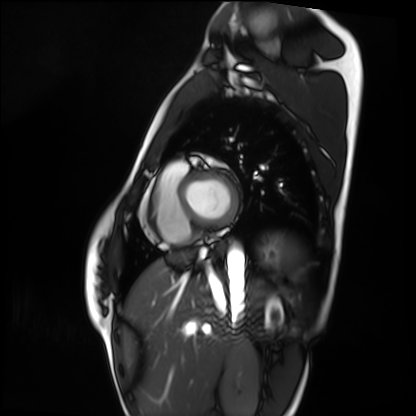
Cardiac MRI.
Subject group: healthy volunteer.